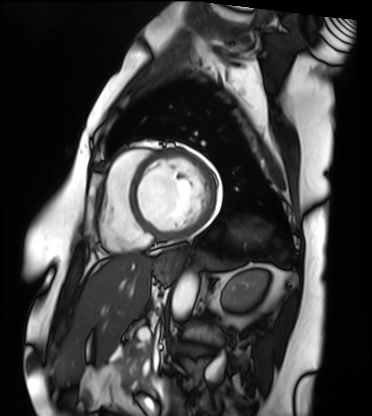
• modality: cardiac MRI
• subject group: patient